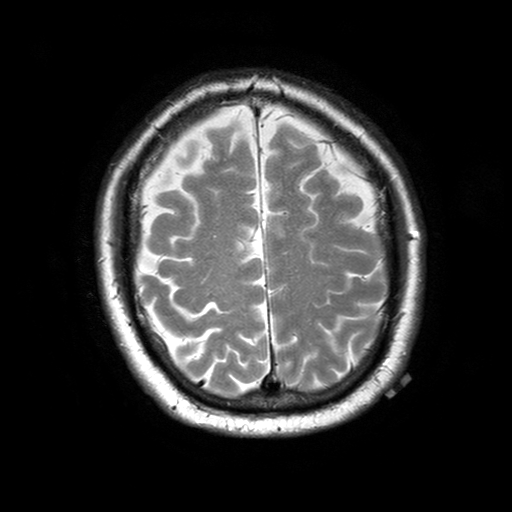
modality = 3 Tesla brain MRI
series = T2-weighted turbo spin echo with SENSE
study = ring-enhancing brain masses